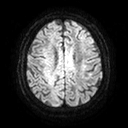
3 Tesla brain MRI. Series: diffusion tensor imaging (medium iso). Study: ring-enhancing brain masses.